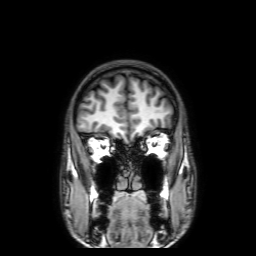
- modality · 3 Tesla brain MRI
- series · 3D T1-weighted with SENSE
- study · ring-enhancing brain masses